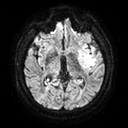
modality = 3 Tesla brain MRI; series = diffusion tensor imaging (medium iso); study = ring-enhancing brain masses.